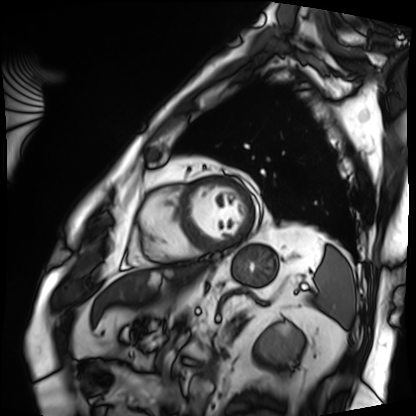
Summary:
Cardiac MRI. Subject group: patient.